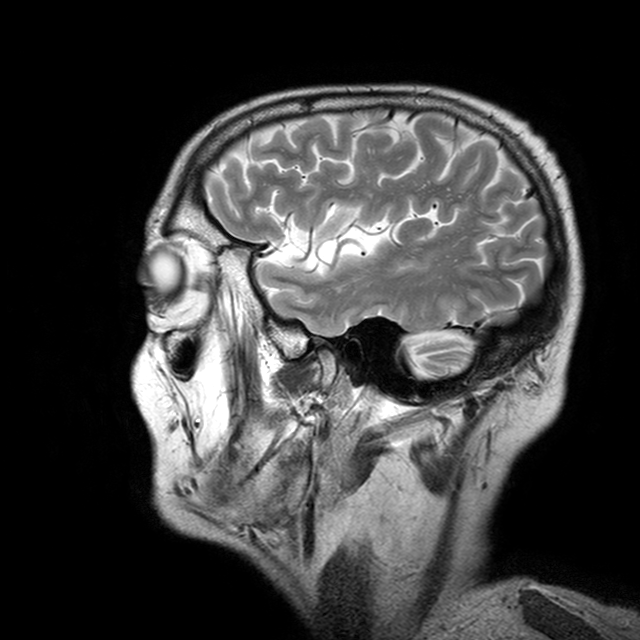
modality:
  type: brain MRI
  field_strength: 3T
series: T2-weighted turbo spin echo with CLEAR
study_topic: ring-enhancing brain masses